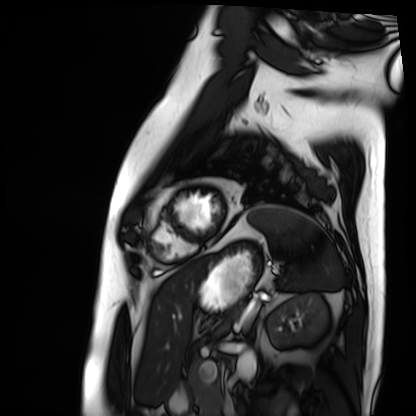
modality: cardiac MRI
cohort: patient